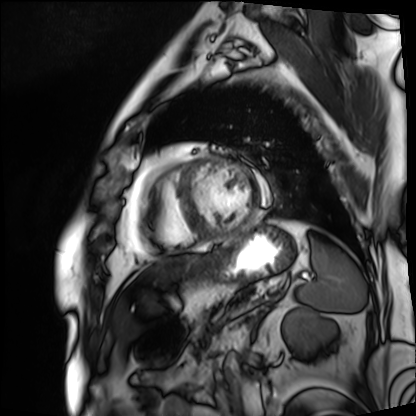
Cardiac MRI. Subject group: patient.